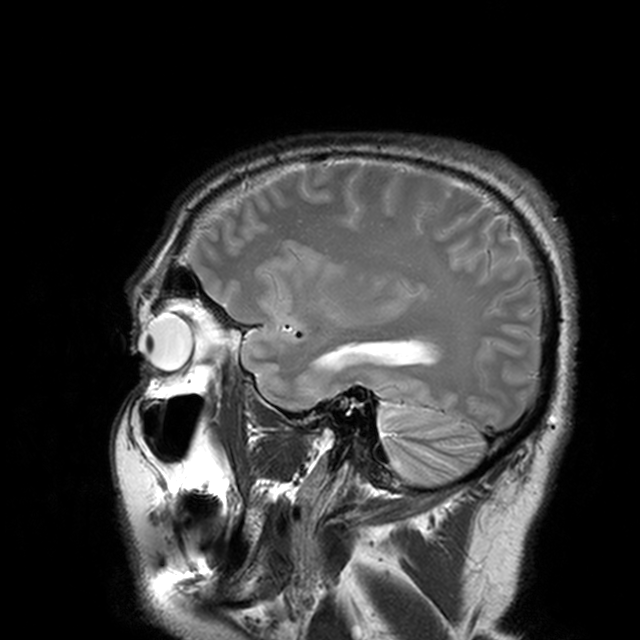
Case:
* modality · 3 Tesla brain MRI
* series · T2-weighted turbo spin echo with CLEAR
* study · ring-enhancing brain masses